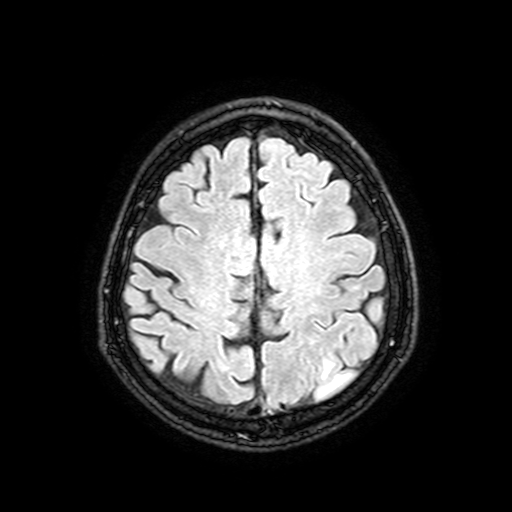
- modality · 3 Tesla brain MRI
- series · FLAIR with SPAIR, 3 mm
- study · ring-enhancing brain masses